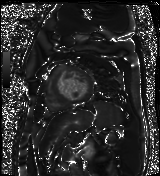
modality = cardiac MR image of the myocardium
subject cohort = cardiac patient